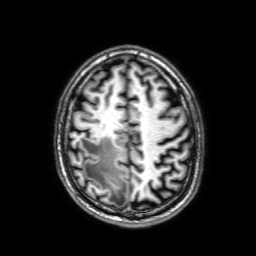
3 Tesla brain MRI.
Series: 3D T1-weighted with SENSE.
Study: ring-enhancing brain masses.